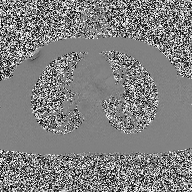
  modality:
    type: 2D phase-contrast cine MRI
    region: ascending aorta
    reconstruction: high-resolution GRAPPA acquisition